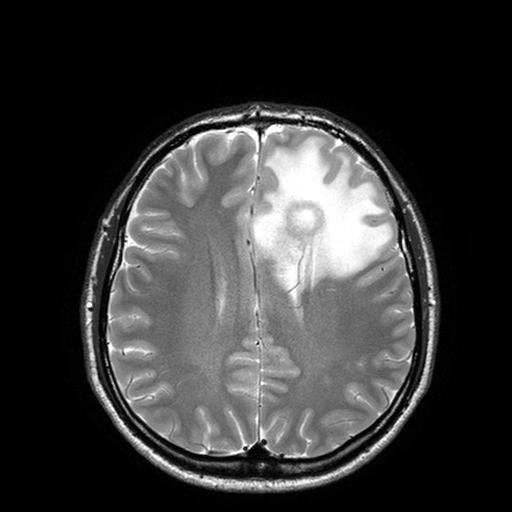
Q: What kind of scan is this?
A: 3 Tesla brain MRI.
Study: ring-enhancing brain masses.